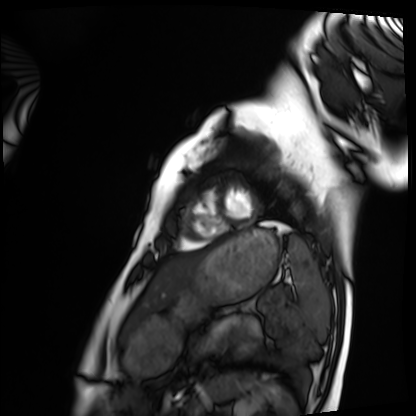
Summary:
Cardiac MRI. Subject group: healthy volunteer.